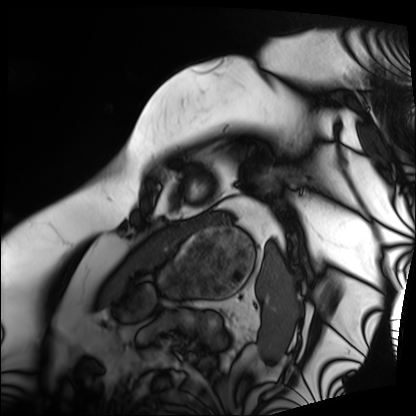
Case:
- modality — cardiac MRI
- subject group — patient